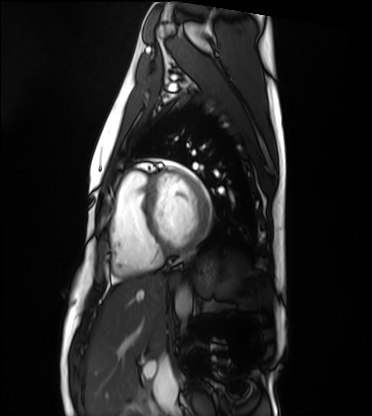
Summary:
Cardiac MRI. Subject group: healthy volunteer.